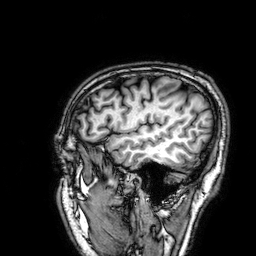
3 Tesla brain MRI. Series: 3D T1-weighted. Study: ring-enhancing brain masses.